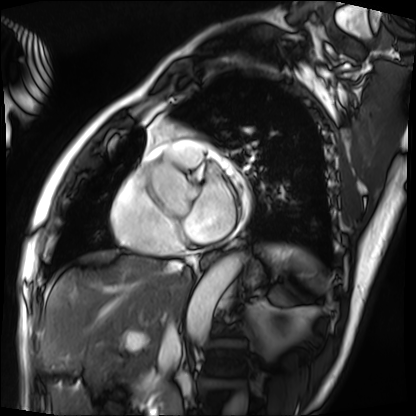
Case:
* modality: cardiac MRI
* subject group: patient